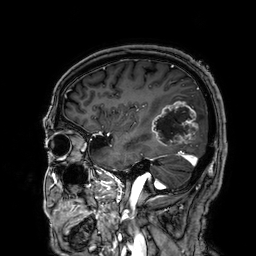
3 Tesla brain MRI. Series: 3D T1-weighted. Study: ring-enhancing brain masses.